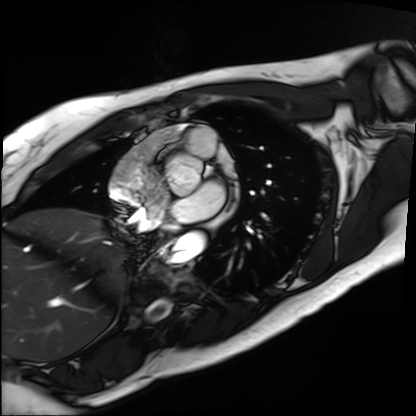
– modality — cardiac MRI
– subject group — patient